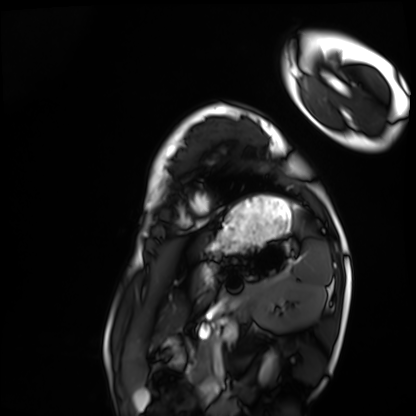
Clinical context:
Cardiac MRI. Subject group: healthy volunteer.